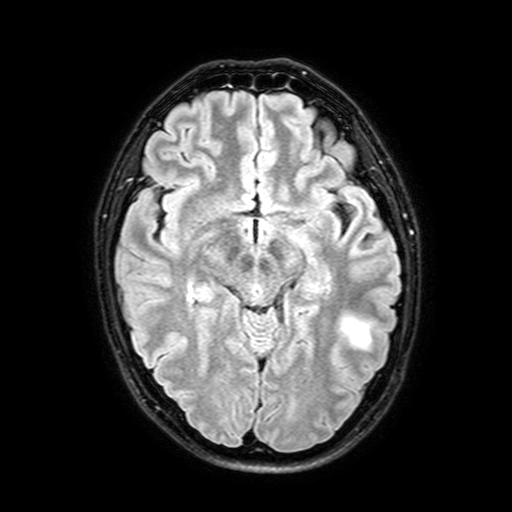
modality=3 Tesla brain MRI; study=ring-enhancing brain masses.